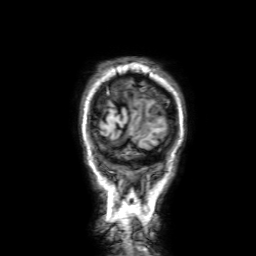
Summary: 3 Tesla brain MRI. Series: 3D T1-weighted with SENSE. Study: ring-enhancing brain masses.